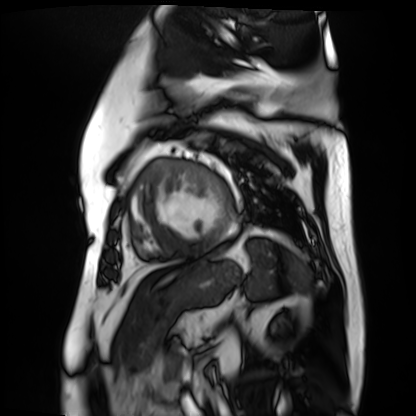
Cardiac MR image of the myocardium.
Subject cohort: cardiac patient.